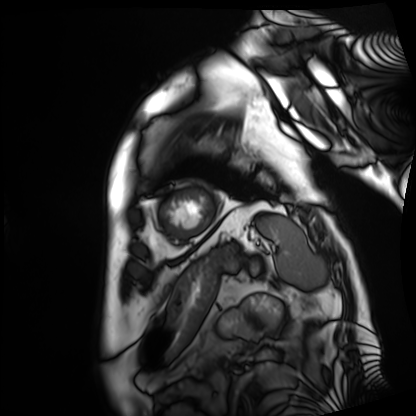
Q: What kind of scan is this?
A: Cardiac MRI.
Subject group: patient.